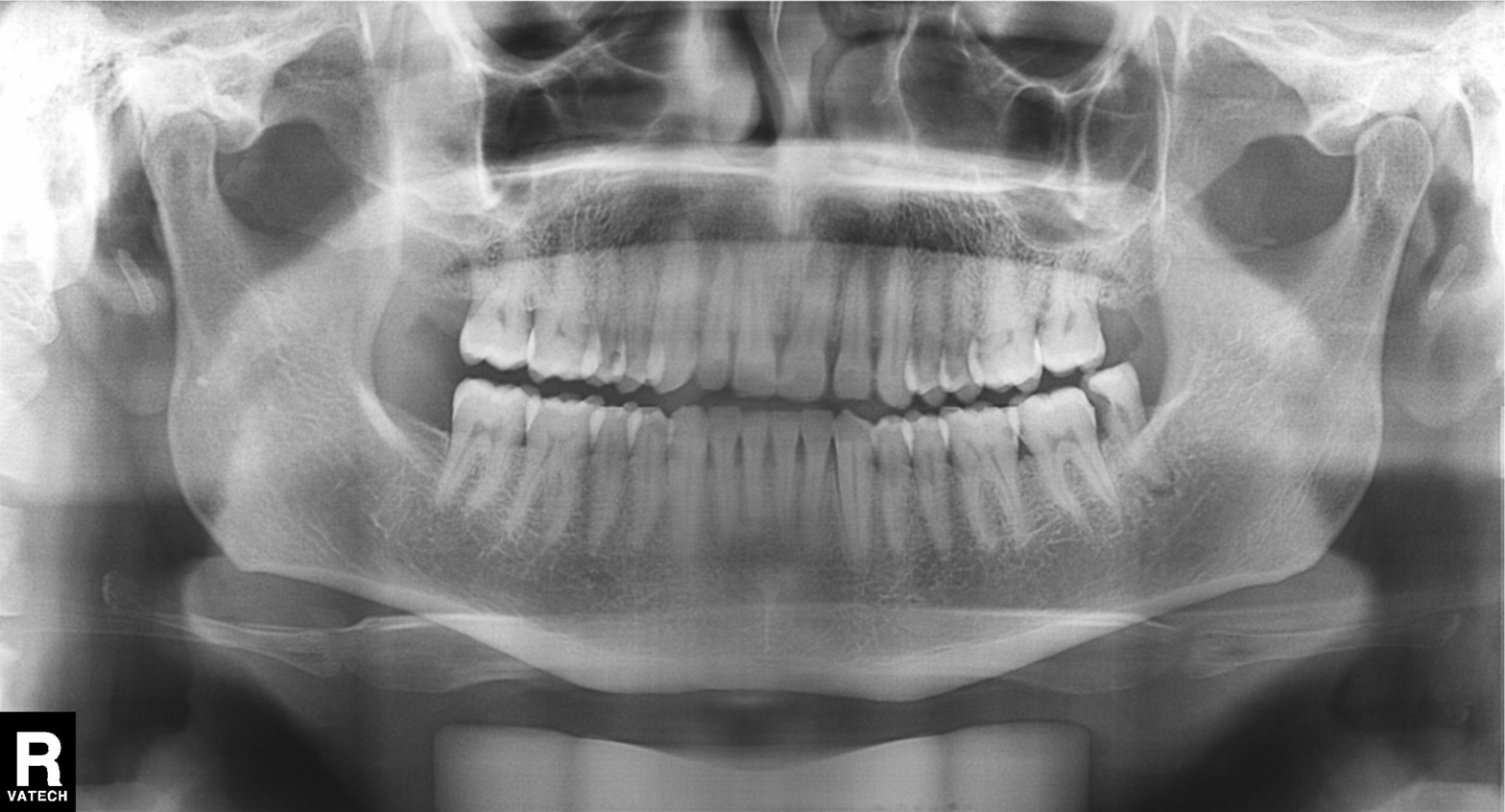
Case summary: Panoramic dental radiograph (orthopantomogram).
Assessment: Dental caries (cavities).